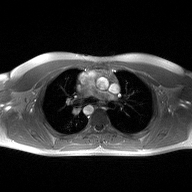
modality: 2D phase-contrast cine MRI of the ascending aorta